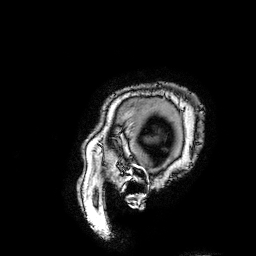
3 Tesla brain MRI.
Series: 3D T1-weighted turbo field echo with SENSE.
Study: ring-enhancing brain masses.